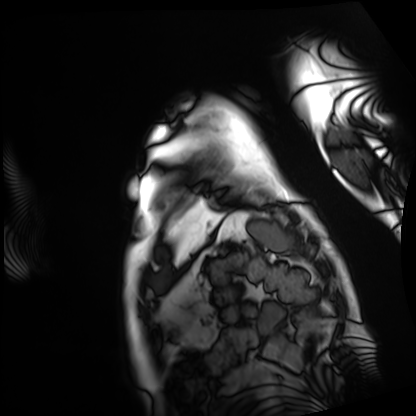
Cardiac MRI. Subject group: patient.